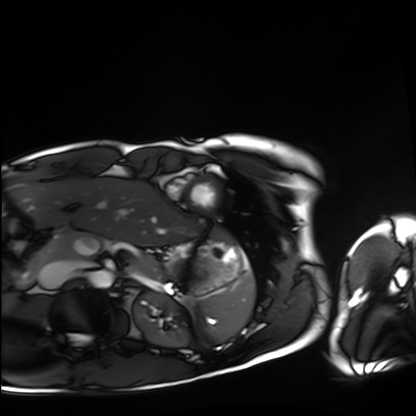
Case summary: Cardiac MRI. Subject group: healthy volunteer.